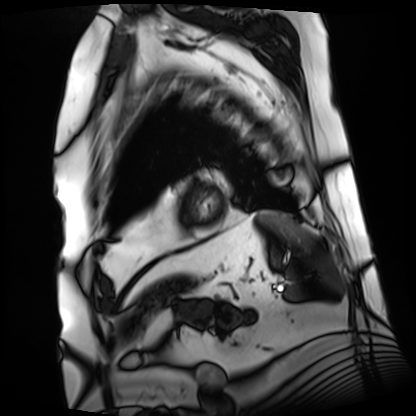
{
  "modality": "cardiac MRI",
  "cohort": "patient"
}